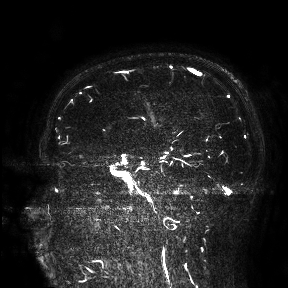
<scan>
  <modality>
    <type>brain MRI</type>
    <field_strength>3T</field_strength>
  </modality>
  <study_topic>ring-enhancing brain masses</study_topic>
</scan>